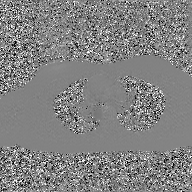
2D phase-contrast cine MRI of the ascending aorta, GAN super-resolution reconstruction.